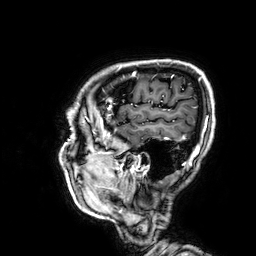
3 Tesla brain MRI. Series: 3D T1-weighted. Study: ring-enhancing brain masses.